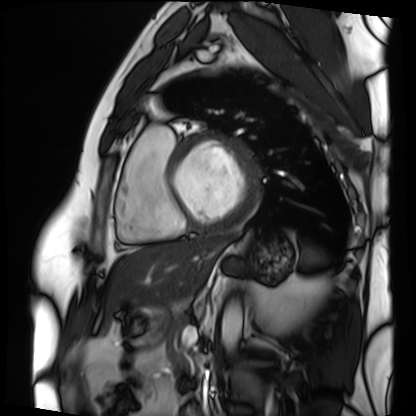
Cardiac MRI.
Subject group: patient.